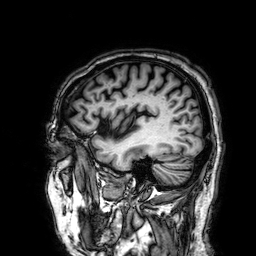
Q: What kind of scan is this?
A: 3 Tesla brain MRI.
Q: Series?
A: 3D T1-weighted.
Study: ring-enhancing brain masses.